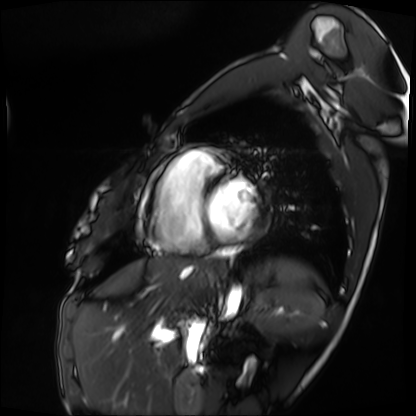
Clinical context: Cardiac MRI. Subject group: patient.